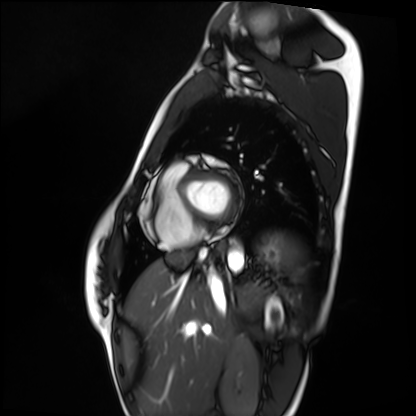
modality = cardiac MRI | subject group = healthy volunteer.